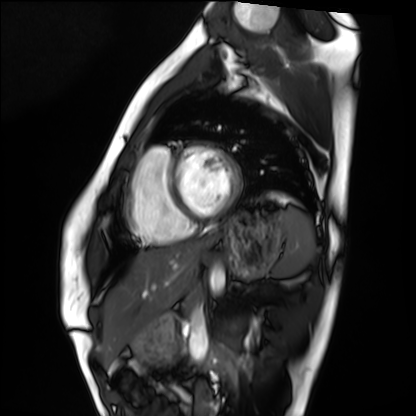
• modality — cardiac MRI
• subject group — healthy volunteer